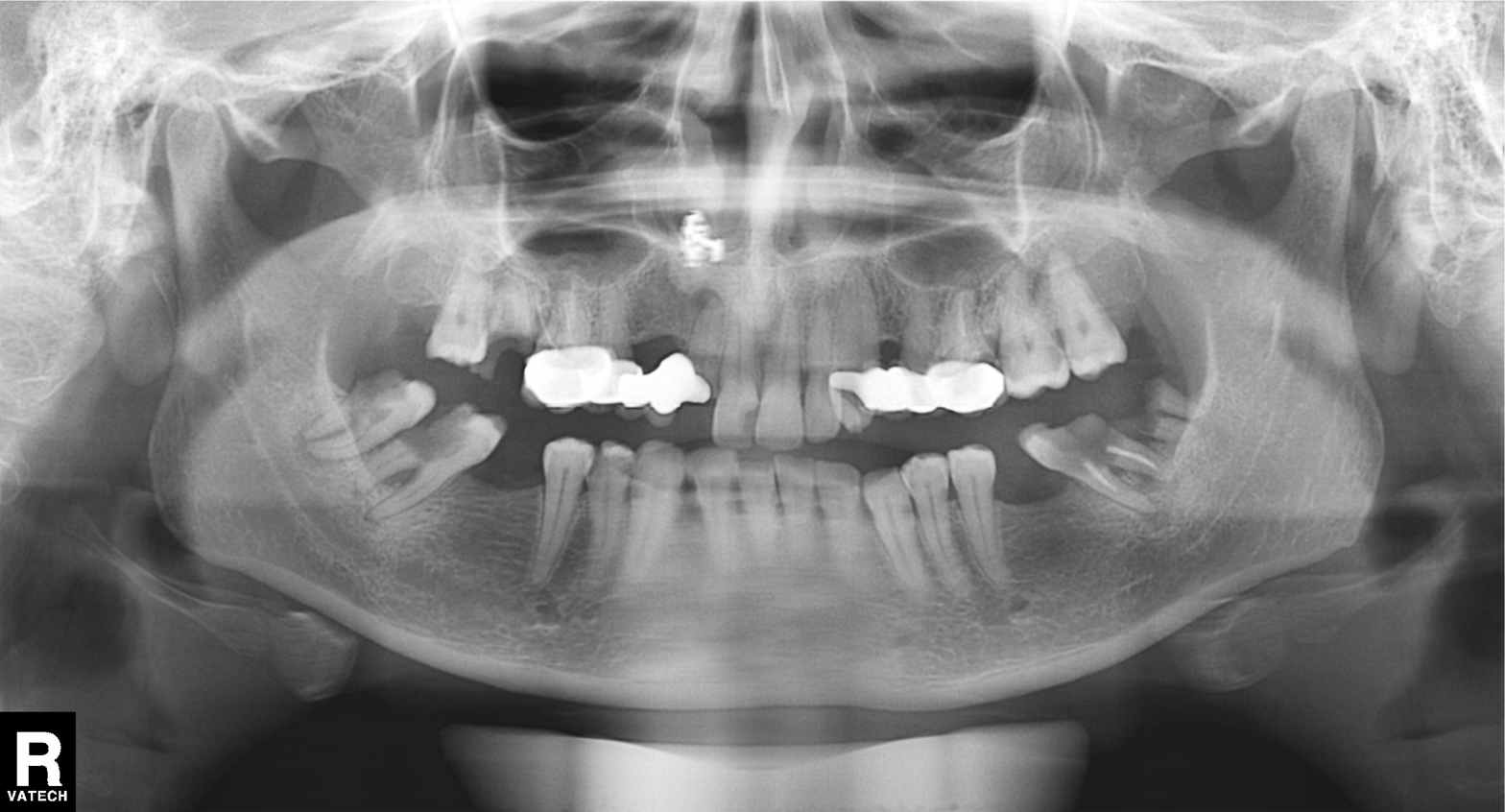
{"modality": "panoramic dental radiograph (orthopantomogram)", "finding": "dental caries (cavities)"}